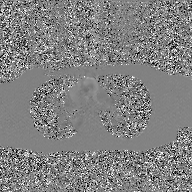
Clinical context: 2D phase-contrast cine MRI of the ascending aorta, GAN super-resolution reconstruction.